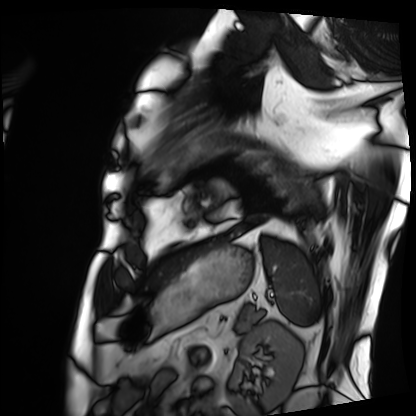
Cardiac MRI. Subject group: patient.